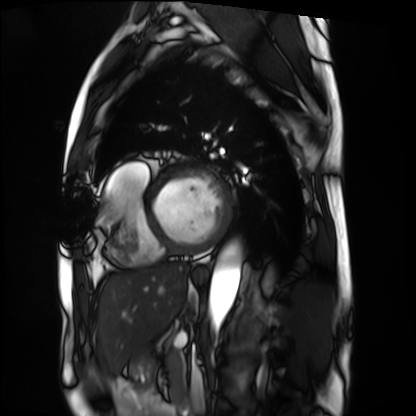
{"modality": "cardiac MRI", "cohort": "patient"}